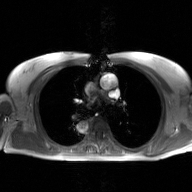
2D phase-contrast cine MRI of the ascending aorta, GAN super-resolution reconstruction.